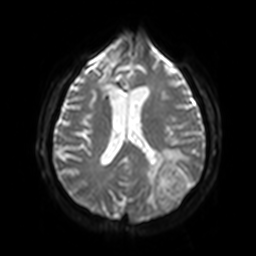
Q: What kind of scan is this?
A: 3 Tesla brain MRI.
Q: Series?
A: Diffusion-weighted imaging with SENSE (WIP).
Study: ring-enhancing brain masses.